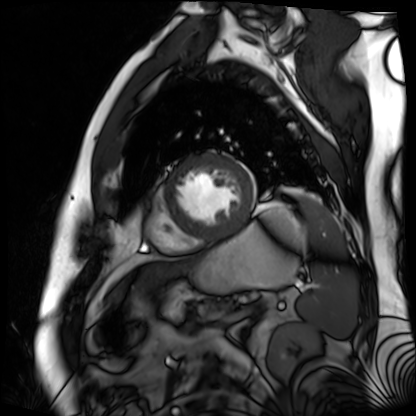
Q: What kind of scan is this?
A: Cardiac MR image of the myocardium.
Subject cohort: cardiac patient.